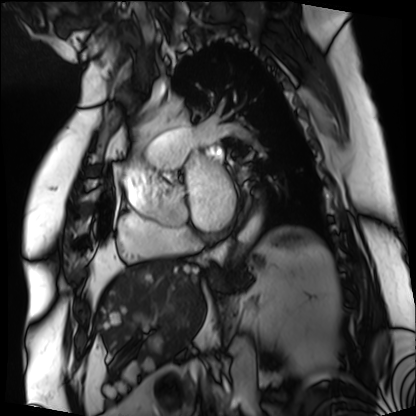
{
  "modality": "cardiac MRI",
  "cohort": "patient"
}